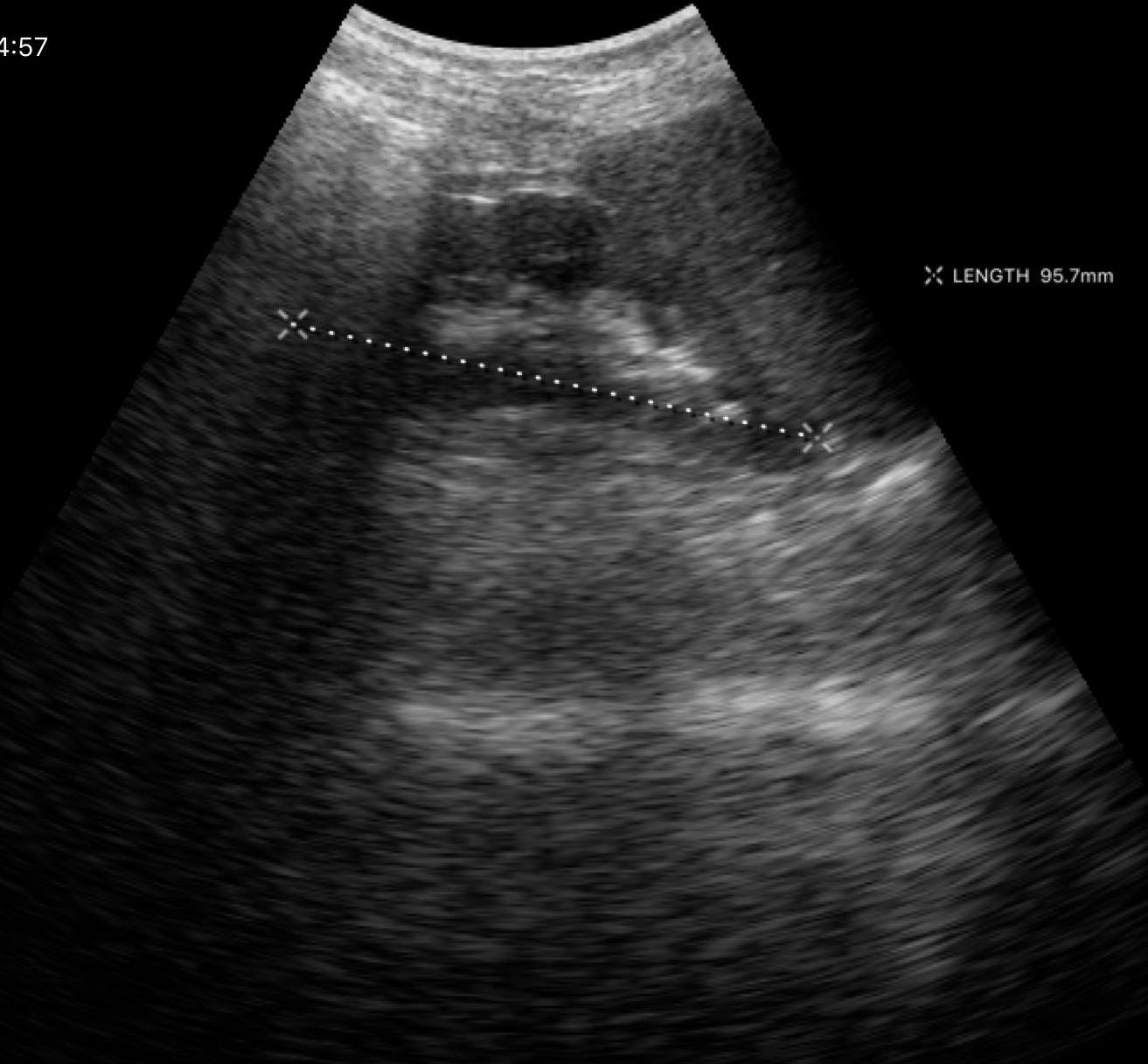
Case summary: Genitourinary ultrasound.